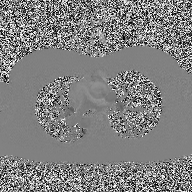
modality — 2D phase-contrast cine MRI of the ascending aorta.